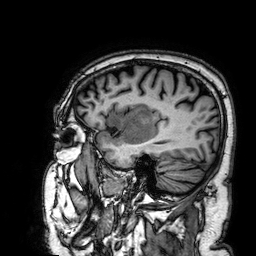
Q: What kind of scan is this?
A: 3 Tesla brain MRI.
Q: Series?
A: 3D T1-weighted.
Study: ring-enhancing brain masses.